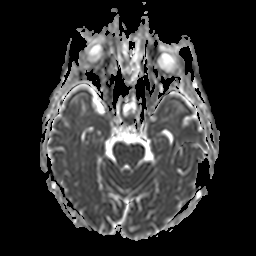
{
  "modality": {
    "type": "brain MRI",
    "field_strength": "3T"
  },
  "series": "apparent diffusion coefficient (ADC) map",
  "study_topic": "ring-enhancing brain masses"
}